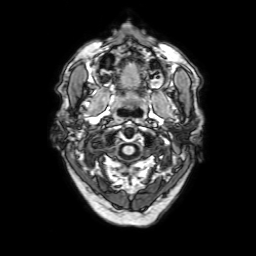
modality: 3 Tesla brain MRI | series: 3D T1-weighted with SENSE | study: ring-enhancing brain masses.